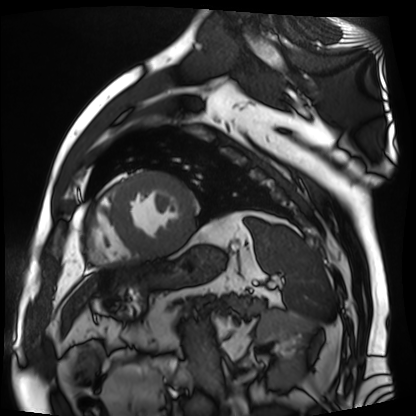
Summary:
Cardiac MR image of the myocardium. Subject cohort: cardiac patient.